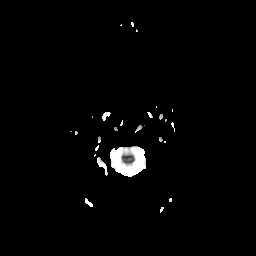
3 Tesla brain MRI. Series: diffusion-weighted imaging with CLEAR. Study: ring-enhancing brain masses.